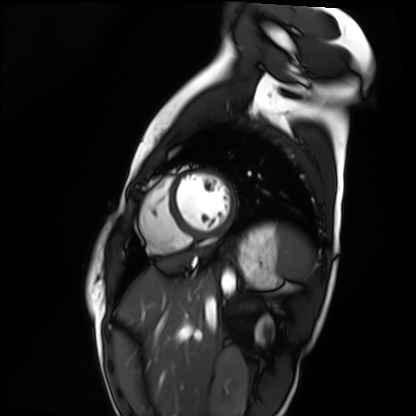
Clinical context:
Cardiac MRI. Subject group: healthy volunteer.